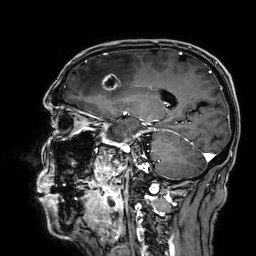
{
  "modality": {
    "type": "brain MRI",
    "field_strength": "3T"
  },
  "series": "3D T1-weighted",
  "study_topic": "ring-enhancing brain masses"
}